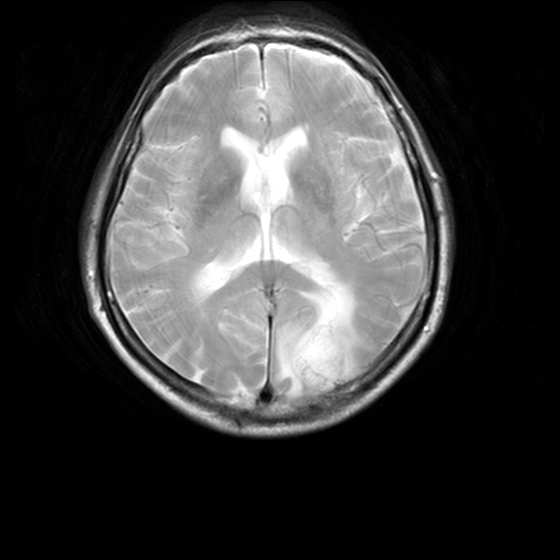
modality=3 Tesla brain MRI
series=MR spectroscopy
study=ring-enhancing brain masses